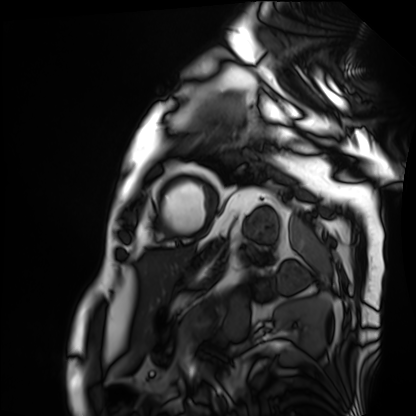
modality — cardiac MRI
subject group — patient